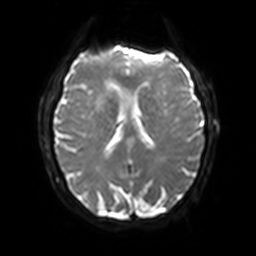
• modality · 3 Tesla brain MRI
• series · diffusion-weighted imaging with SENSE (WIP)
• study · ring-enhancing brain masses